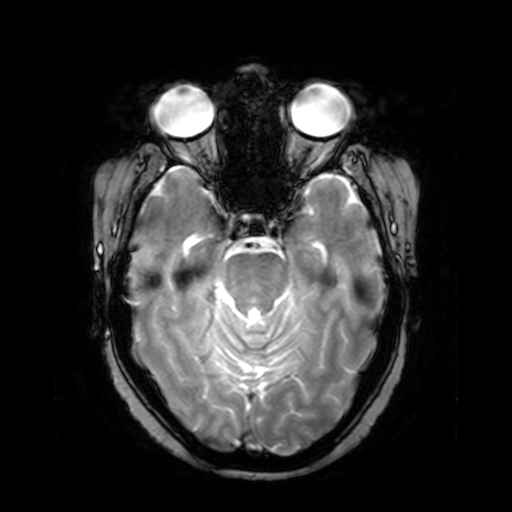
Summary: 3 Tesla brain MRI. Series: T2-weighted fast field echo. Study: ring-enhancing brain masses.